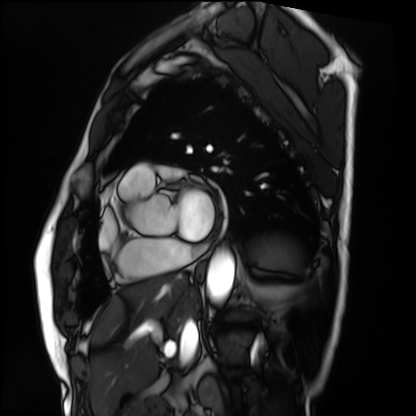
| field | value |
|---|---|
| modality | cardiac MRI |
| subject group | patient |